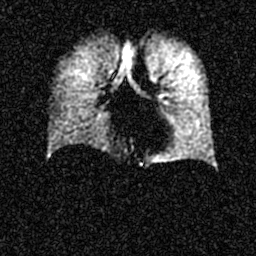
modality: hyperpolarized 129Xe ventilation MRI of the lungs | SNR level: 5 of 8 (the deposit holds this scan as its native image and as seven SNR-degraded versions).